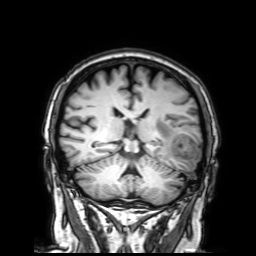
{
  "modality": {
    "type": "brain MRI",
    "field_strength": "3T"
  },
  "series": "3D T1-weighted with SENSE",
  "study_topic": "ring-enhancing brain masses"
}